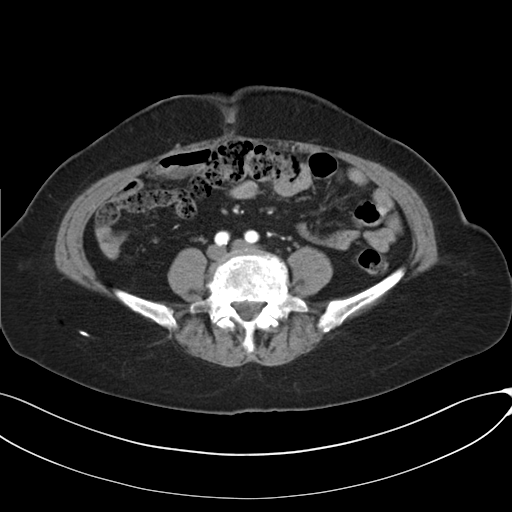
{
  "modality": {
    "type": "multiphase abdominal CT",
    "region": "liver",
    "phase": "arterial"
  },
  "patient": {
    "sex": "female",
    "age": 73
  },
  "history": [
    "prior chemotherapy"
  ]
}